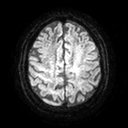
3 Tesla brain MRI. Series: diffusion tensor imaging (medium iso). Study: ring-enhancing brain masses.